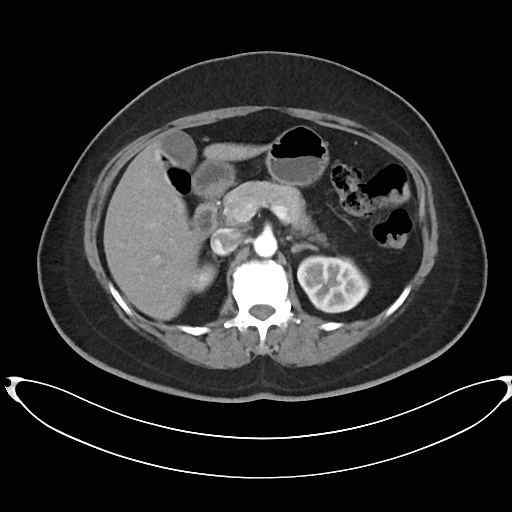
Case:
- modality · multiphase abdominal CT, liver, arterial phase